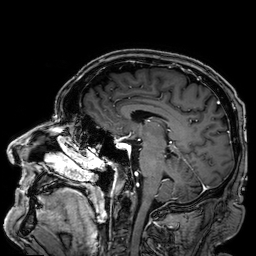
3 Tesla brain MRI. Series: 3D T1-weighted. Study: ring-enhancing brain masses.